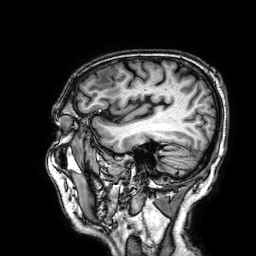
modality: 3 Tesla brain MRI
series: 3D T1-weighted
study: ring-enhancing brain masses